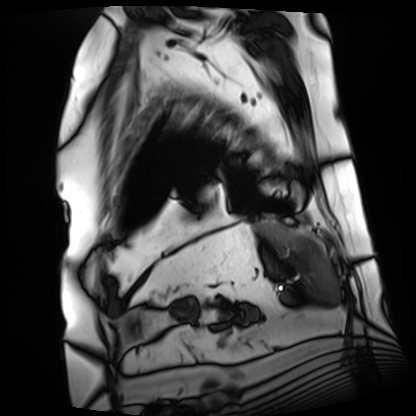
Clinical context:
Cardiac MRI. Subject group: patient.